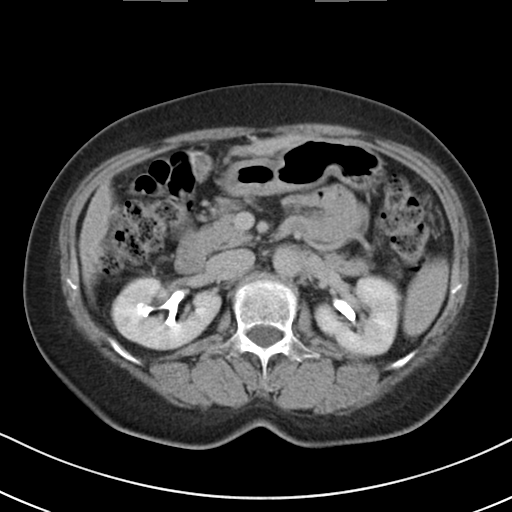
Q: What kind of scan is this?
A: Multiphase abdominal CT, liver, delayed phase.
Q: Patient?
A: Female, age 61.
Q: History?
A: Cirrhosis, viral hepatitis.